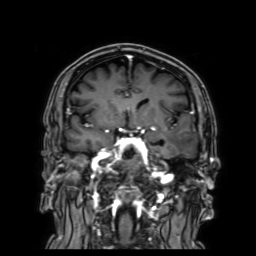
modality: 3 Tesla brain MRI
series: 3D T1-weighted with SENSE
study: ring-enhancing brain masses